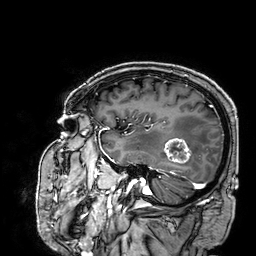
modality = 3 Tesla brain MRI; series = 3D T1-weighted; study = ring-enhancing brain masses.